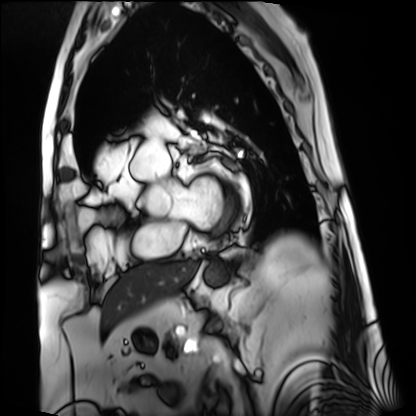
Cardiac MRI. Subject group: patient.